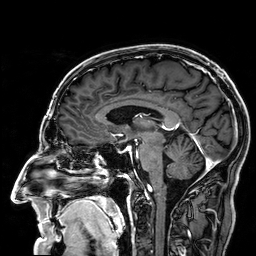
<scan>
<modality>
  <type>brain MRI</type>
  <field_strength>3T</field_strength>
</modality>
<series>3D T1-weighted</series>
<study_topic>ring-enhancing brain masses</study_topic>
</scan>